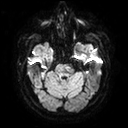
{"modality": {"type": "brain MRI", "field_strength": "3T"}, "series": "diffusion tensor imaging (medium iso)", "study_topic": "ring-enhancing brain masses"}